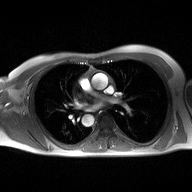
Case:
- modality — 2D phase-contrast cine MRI of the ascending aorta